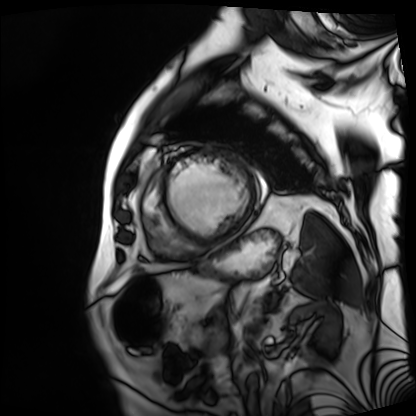
Summary:
Cardiac MRI. Subject group: patient.